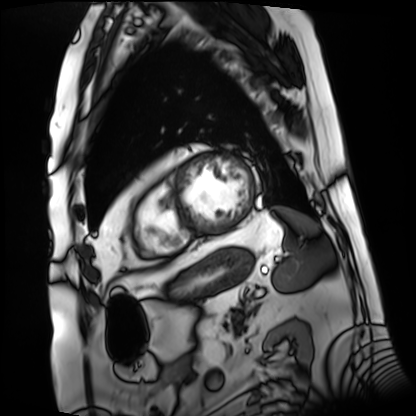
Cardiac MRI.
Subject group: patient.